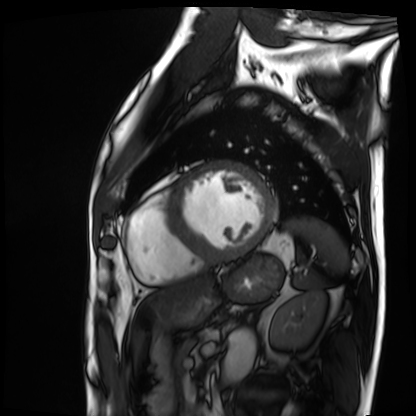
| field | value |
|---|---|
| modality | cardiac MRI |
| subject group | patient |